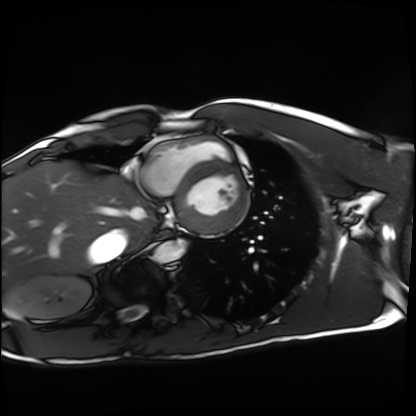
modality = cardiac MRI, subject group = healthy volunteer.